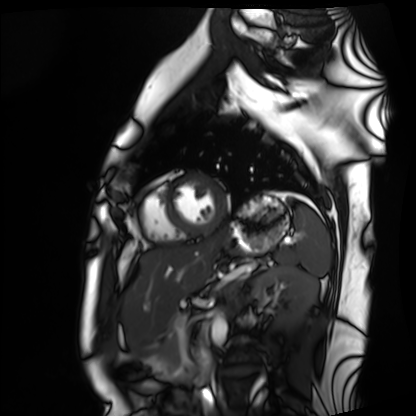
modality — cardiac MRI
subject group — healthy volunteer